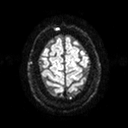
modality: 3 Tesla brain MRI | series: diffusion tensor imaging (medium iso) | study: ring-enhancing brain masses.